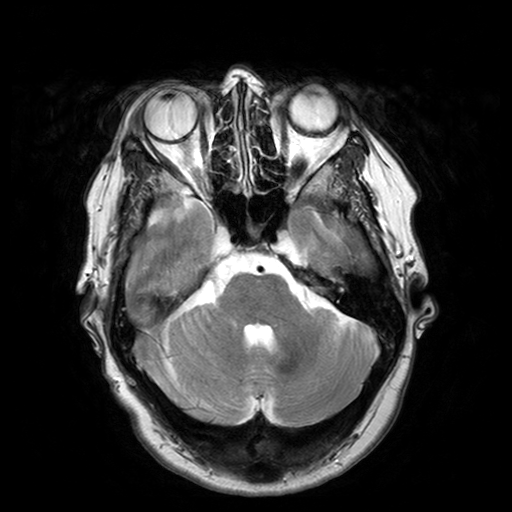
Q: What kind of scan is this?
A: 3 Tesla brain MRI.
Q: Series?
A: T2-weighted turbo spin echo with SENSE.
Study: ring-enhancing brain masses.